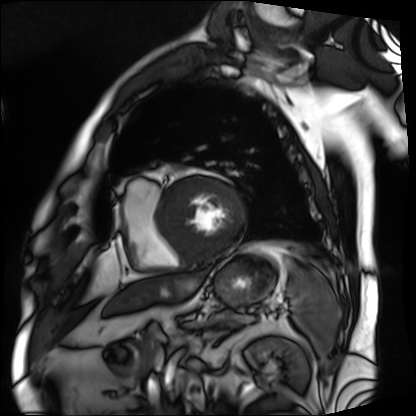
• modality — cardiac MRI
• subject group — patient